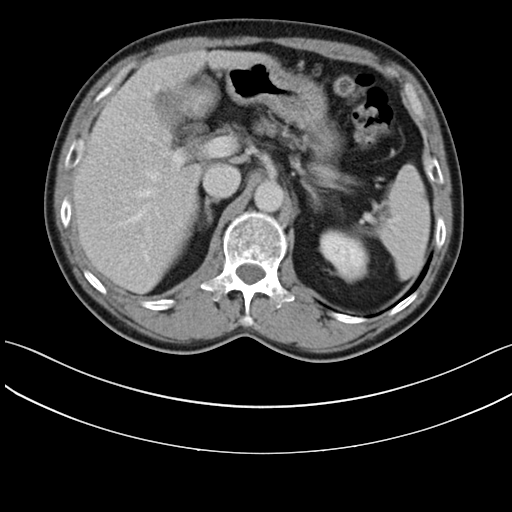
modality = multiphase abdominal CT, liver, delayed phase | patient = male, age 59.